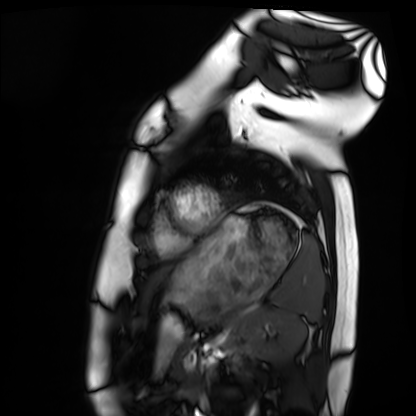
– modality · cardiac MRI
– subject group · healthy volunteer